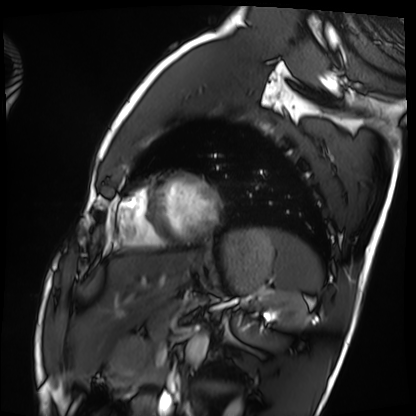
Cardiac MRI. Subject group: healthy volunteer.